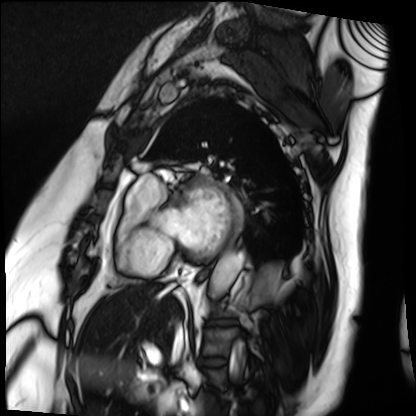
modality=cardiac MRI; subject group=patient.